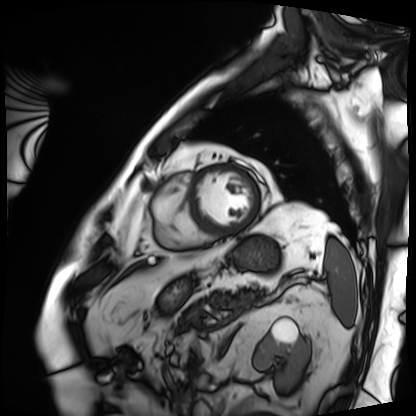
modality: cardiac MRI
cohort: patient